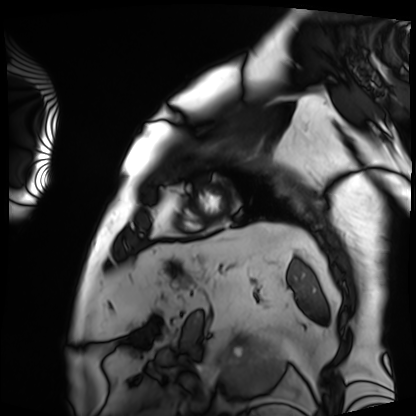
modality: cardiac MRI
subject group: patient